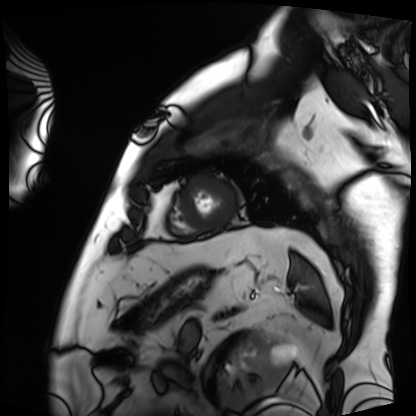
| field | value |
|---|---|
| modality | cardiac MRI |
| subject group | patient |